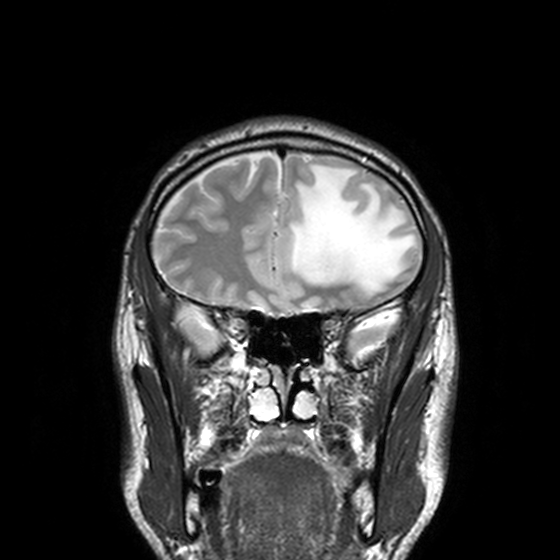
* modality · 3 Tesla brain MRI
* series · T2-weighted turbo spin echo, 3 mm
* study · ring-enhancing brain masses